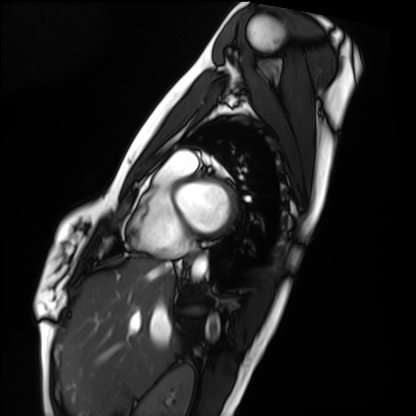
<scan>
  <modality>cardiac MRI</modality>
  <cohort>healthy volunteer</cohort>
</scan>